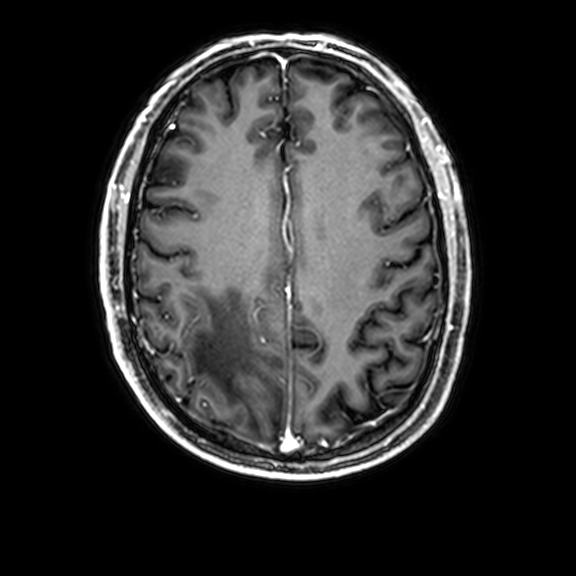
3 Tesla brain MRI. Series: 3D T1-weighted with CLEAR. Study: ring-enhancing brain masses.